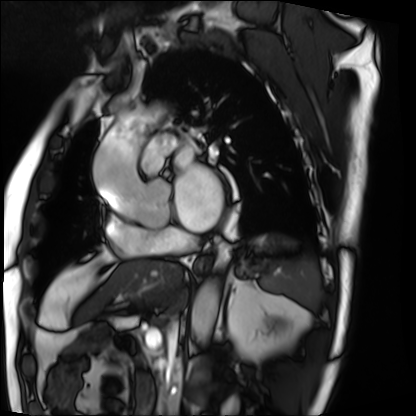
<study>
<modality>cardiac MRI</modality>
<cohort>patient</cohort>
</study>